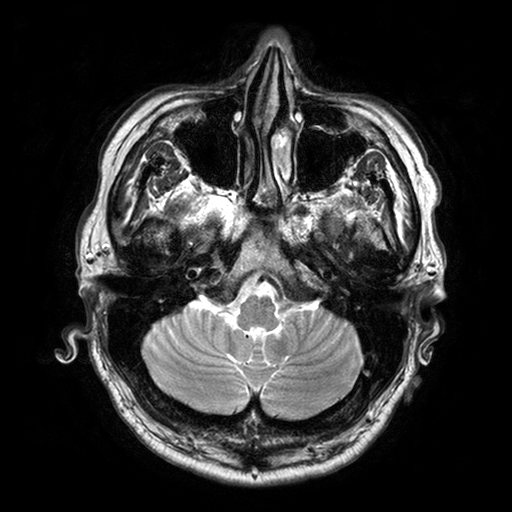
Case:
• modality — 3 Tesla brain MRI
• series — T2-weighted turbo spin echo with SENSE
• study — ring-enhancing brain masses